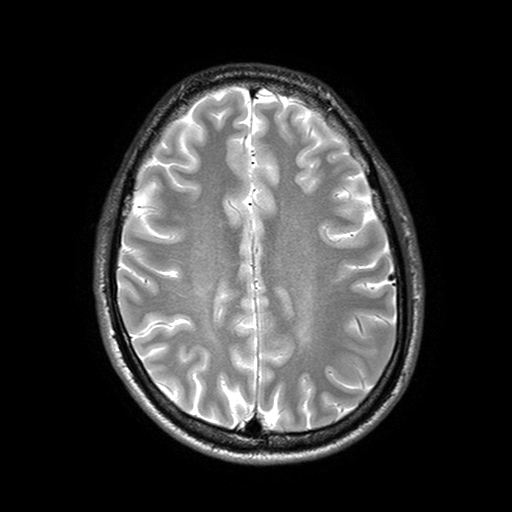
* modality · 3 Tesla brain MRI
* series · T2-weighted turbo spin echo with SENSE
* study · ring-enhancing brain masses